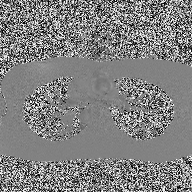
modality — 2D phase-contrast cine MRI of the ascending aorta.